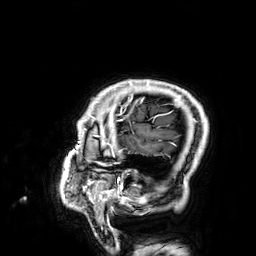
modality: 3 Tesla brain MRI | series: 3D T1-weighted | study: ring-enhancing brain masses.